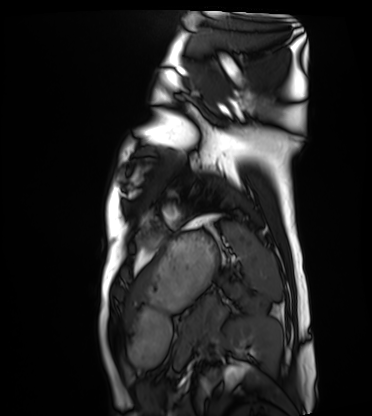
Case summary: Cardiac MRI. Subject group: healthy volunteer.